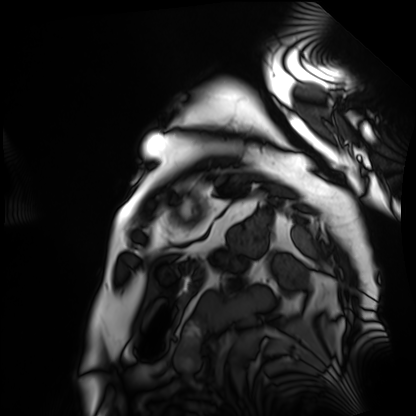
modality=cardiac MRI
subject group=patient